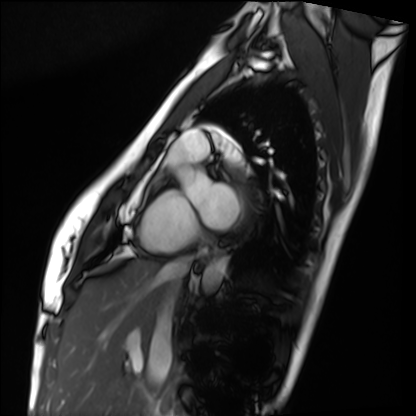
Cardiac MRI.
Subject group: healthy volunteer.